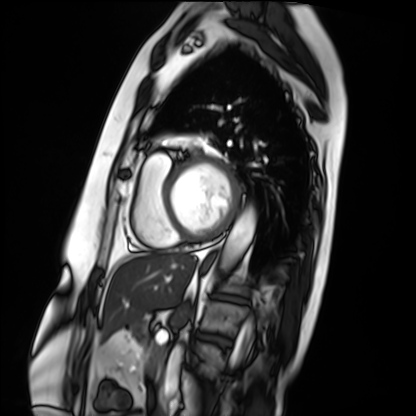
modality = cardiac MRI, subject group = patient.